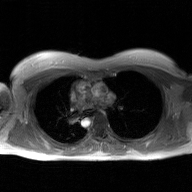
- modality — 2D phase-contrast cine MRI of the ascending aorta, GAN super-resolution reconstruction